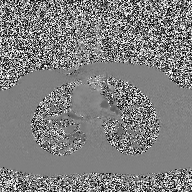
Case summary:
2D phase-contrast cine MRI of the ascending aorta, high-resolution GRAPPA acquisition.